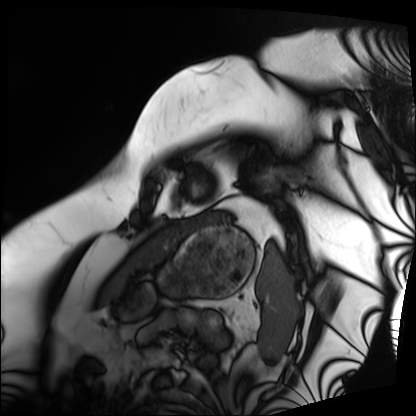
<scan>
  <modality>cardiac MRI</modality>
  <cohort>patient</cohort>
</scan>